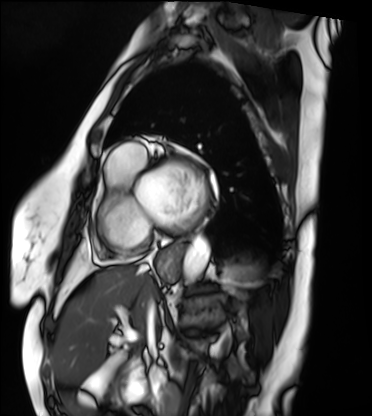
Q: What kind of scan is this?
A: Cardiac MRI.
Subject group: patient.